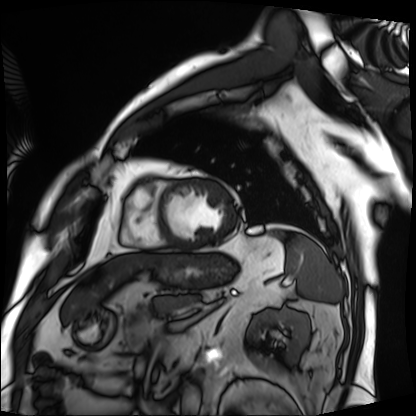
modality: cardiac MRI, subject group: patient.